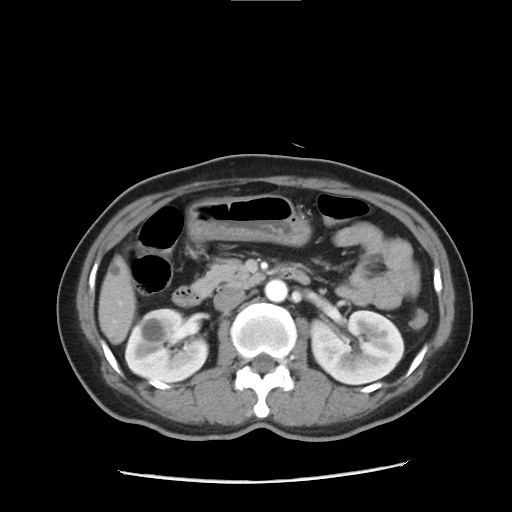
Multiphase abdominal CT, liver, arterial phase. Patient: female, age 43.